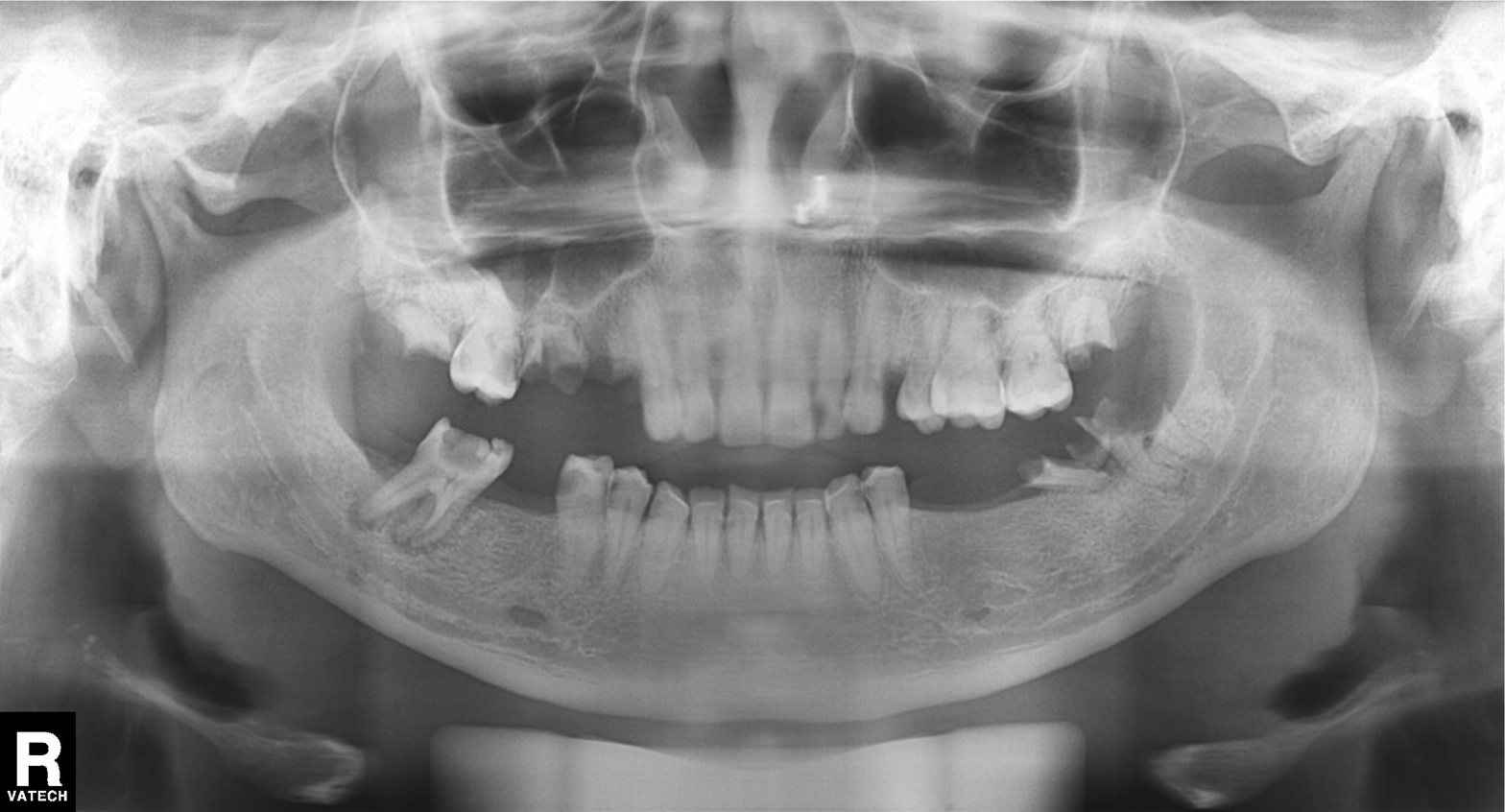
• modality · panoramic dental radiograph (orthopantomogram)
• finding · alveolar bone loss